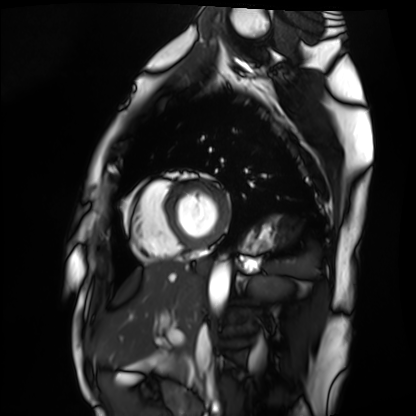
modality — cardiac MRI | subject group — healthy volunteer.